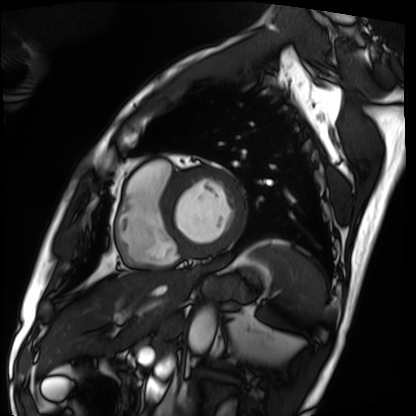
modality = cardiac MRI; subject group = patient.